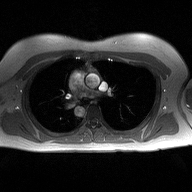
• modality · 2D phase-contrast cine MRI of the ascending aorta